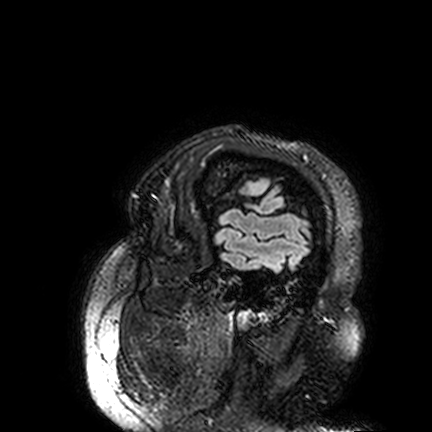
| field | value |
|---|---|
| modality | 3 Tesla brain MRI |
| series | FLAIR VISTA |
| study | ring-enhancing brain masses |